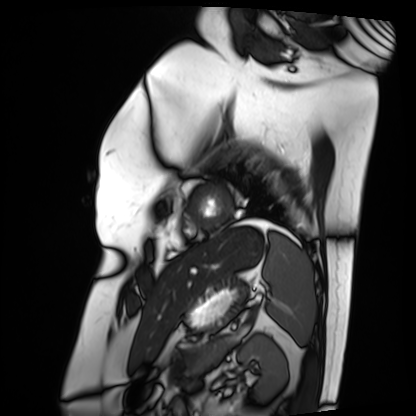
{
  "modality": "cardiac MRI",
  "cohort": "patient"
}